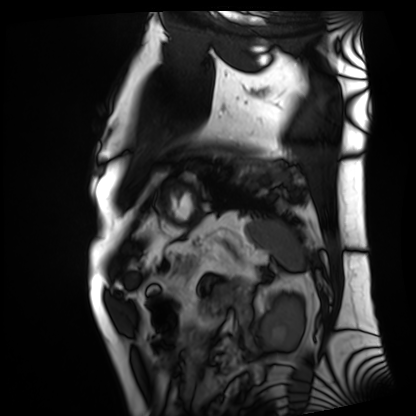
<record>
<modality>cardiac MRI</modality>
<cohort>patient</cohort>
</record>